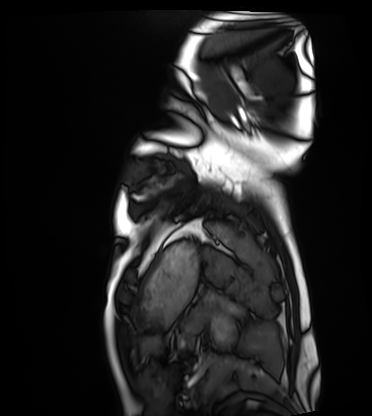
Cardiac MRI.
Subject group: healthy volunteer.